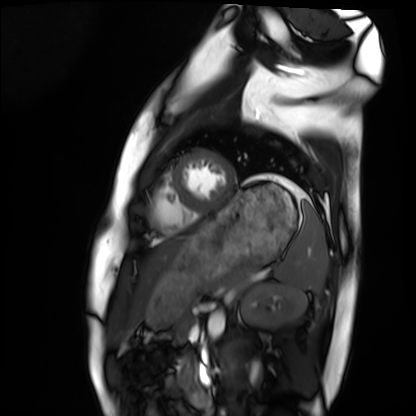
modality: cardiac MRI; subject group: healthy volunteer.